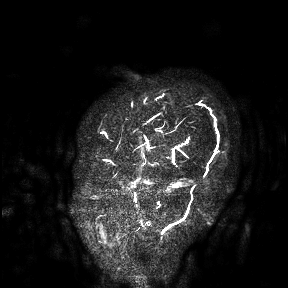
Q: What kind of scan is this?
A: 3 Tesla brain MRI.
Study: ring-enhancing brain masses.